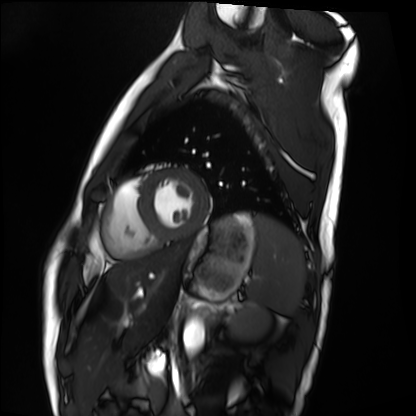
modality = cardiac MRI; subject group = healthy volunteer.